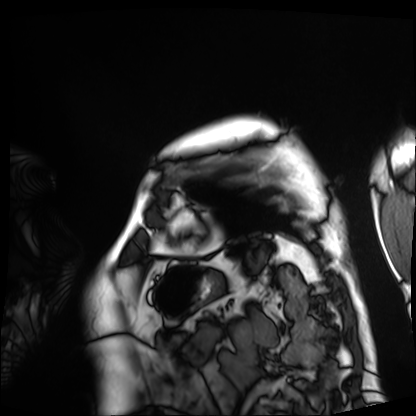
Cardiac MRI. Subject group: patient.